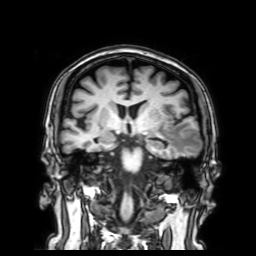
3 Tesla brain MRI. Series: 3D T1-weighted with SENSE. Study: ring-enhancing brain masses.